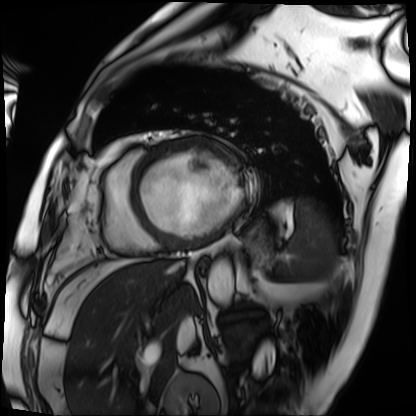
{"modality": "cardiac MRI", "cohort": "patient"}